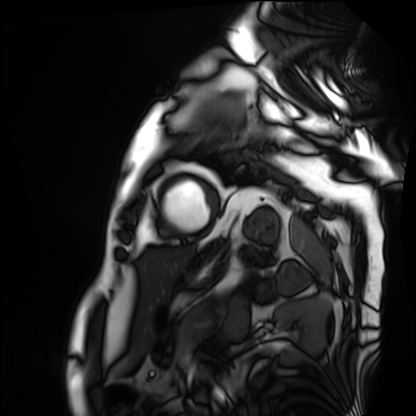
{"modality": "cardiac MRI", "cohort": "patient"}